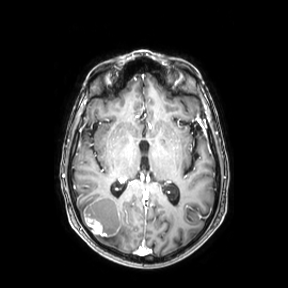
– modality — 3 Tesla brain MRI
– series — axial
– study — ring-enhancing brain masses